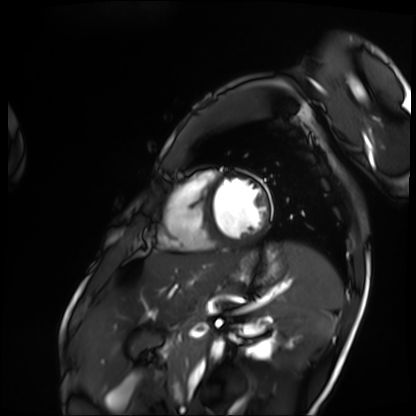
Case summary:
Cardiac MRI. Subject group: patient.